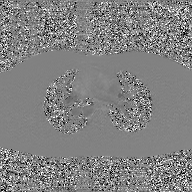
Q: What kind of scan is this?
A: 2D phase-contrast cine MRI of the ascending aorta, GAN super-resolution reconstruction.